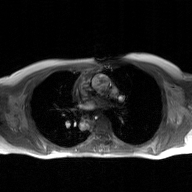
2D phase-contrast cine MRI of the ascending aorta, GAN super-resolution reconstruction.